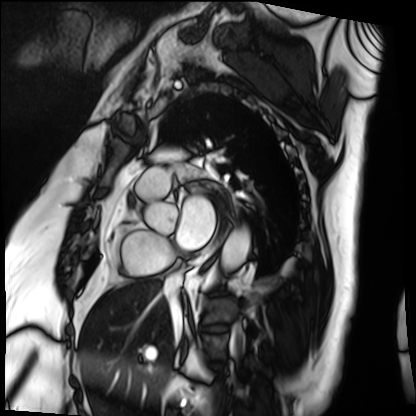
modality=cardiac MRI; subject group=patient.